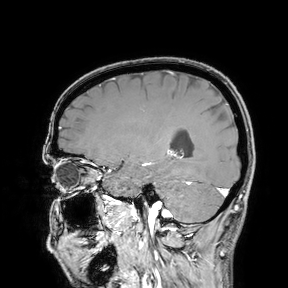
3 Tesla brain MRI.
Study: ring-enhancing brain masses.